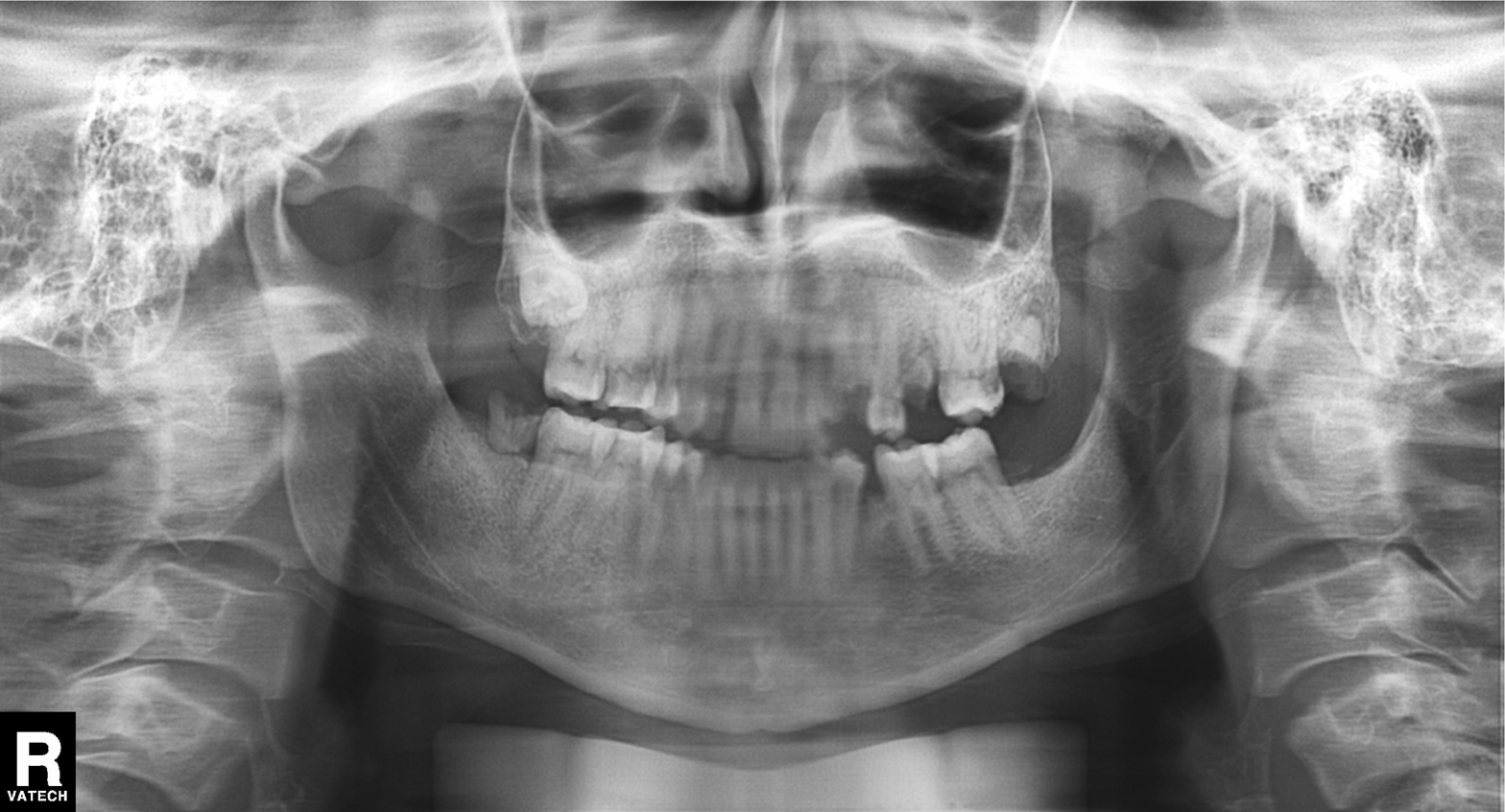
Panoramic dental radiograph (orthopantomogram). Finding: tooth impaction.